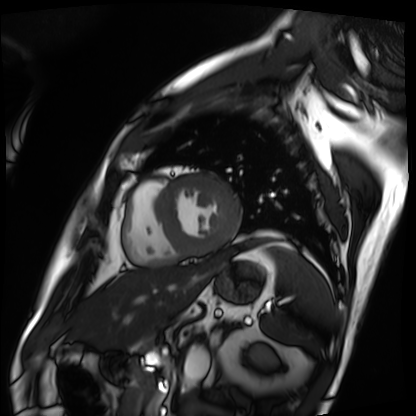
Cardiac MRI. Subject group: patient.